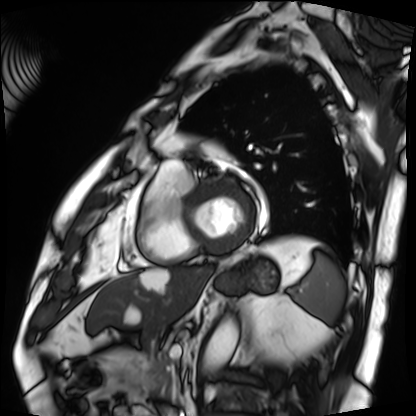
modality: cardiac MRI
cohort: patient